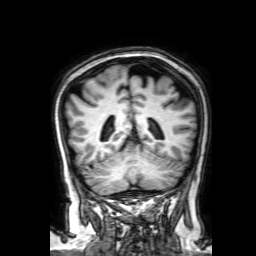
modality: 3 Tesla brain MRI | series: 3D T1-weighted with SENSE | study: ring-enhancing brain masses.